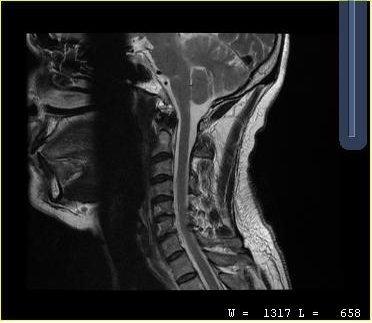
MRI of the cervical spine. Study: cervical spondylosis.